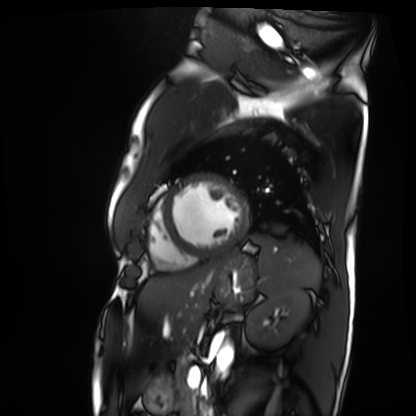
Cardiac MRI.
Subject group: patient.